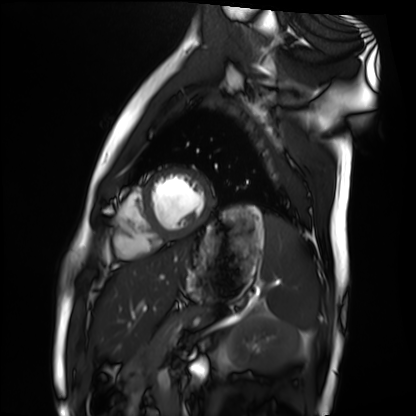
{"modality": "cardiac MRI", "cohort": "healthy volunteer"}